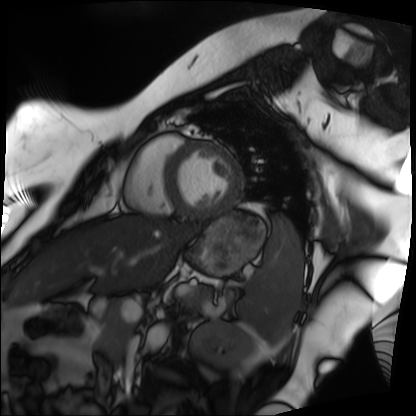
Cardiac MRI. Subject group: patient.